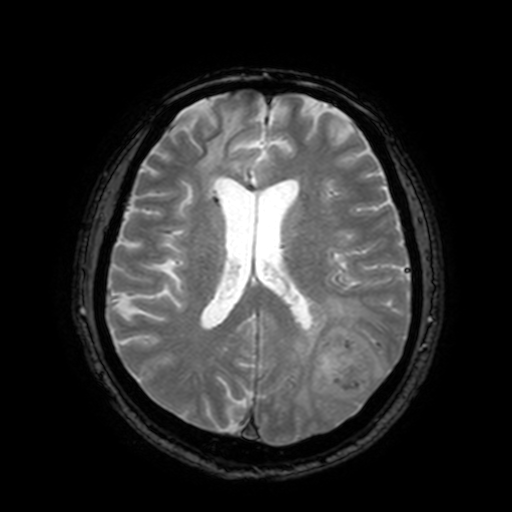
modality:
  type: brain MRI
  field_strength: 3T
series: T2-weighted fast field echo with SENSE
study_topic: ring-enhancing brain masses